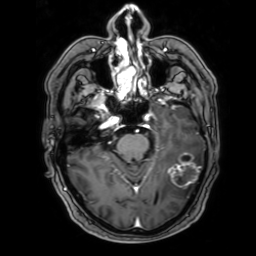
modality: 3 Tesla brain MRI
series: 3D T1-weighted with SENSE
study: ring-enhancing brain masses